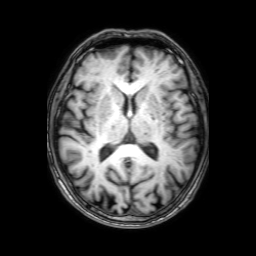
modality = 3 Tesla brain MRI; series = 3D T1-weighted with SENSE; study = ring-enhancing brain masses.